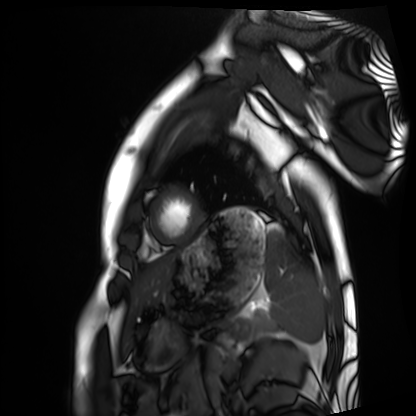
Summary: Cardiac MRI. Subject group: healthy volunteer.